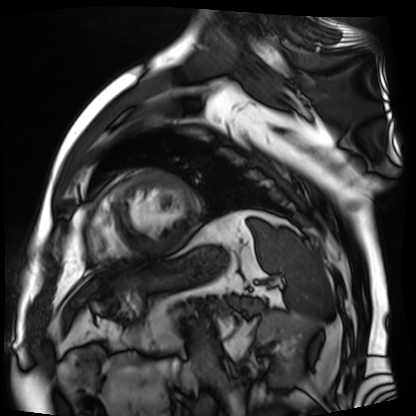
Cardiac MR image of the myocardium. Subject cohort: cardiac patient.